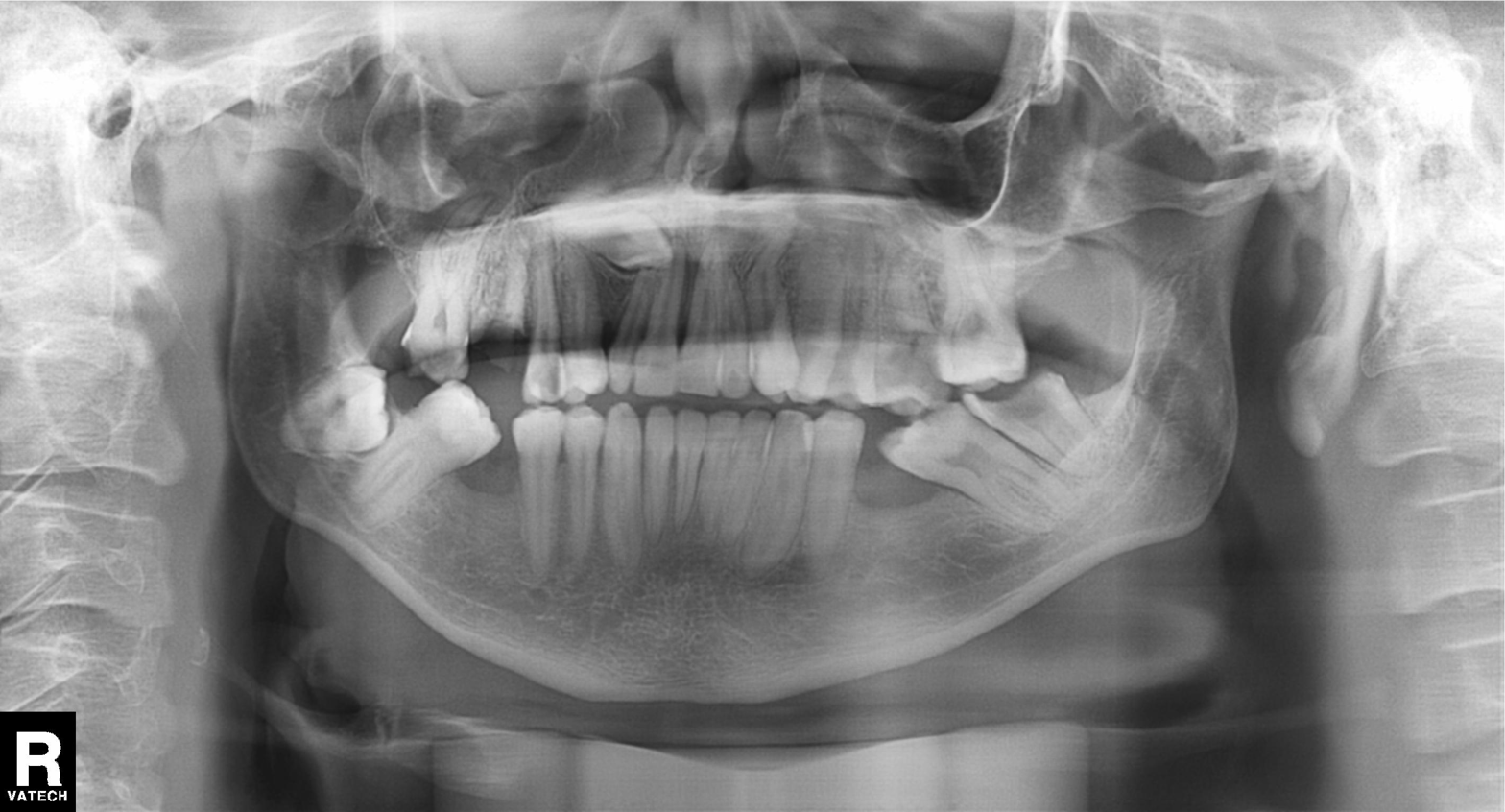
modality = panoramic dental radiograph (orthopantomogram); finding = alveolar bone loss.